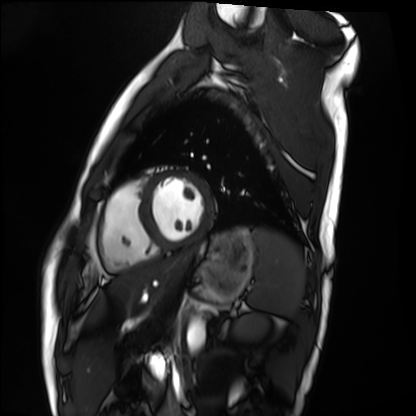
{"modality": "cardiac MRI", "cohort": "healthy volunteer"}